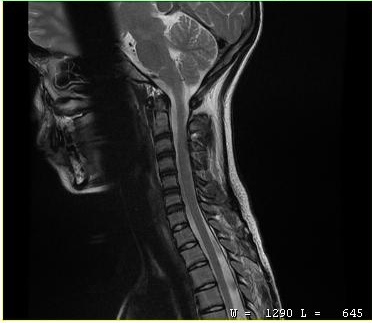
Case summary:
MRI of the cervical spine. Study: cervical spondylosis.